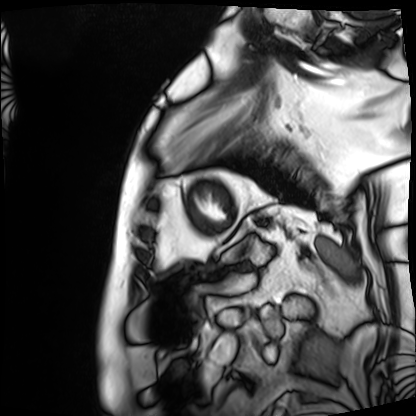
• modality — cardiac MRI
• subject group — patient